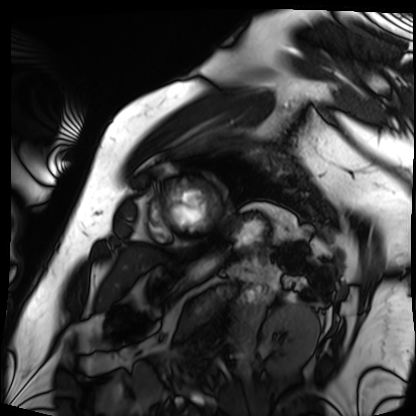
<study>
<modality>cardiac MRI</modality>
<cohort>patient</cohort>
</study>